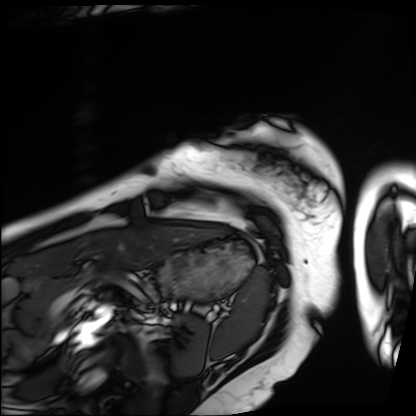
* modality — cardiac MRI
* subject group — patient